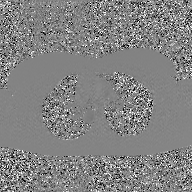
2D phase-contrast cine MRI of the ascending aorta, GAN super-resolution reconstruction.